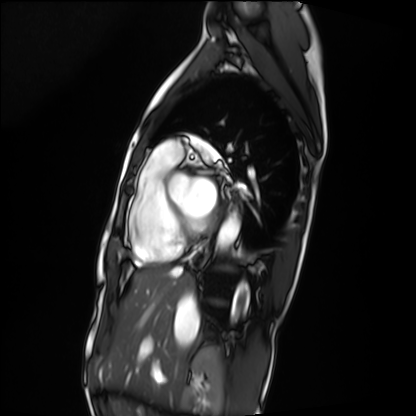
modality — cardiac MRI | subject group — patient.